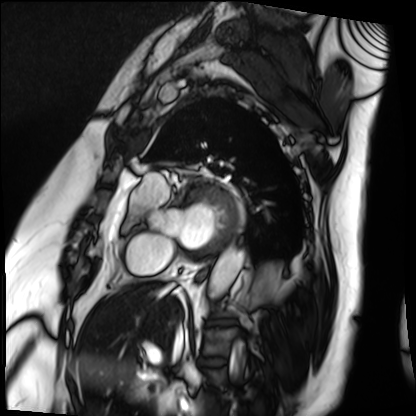
Cardiac MRI. Subject group: patient.